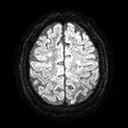
modality = 3 Tesla brain MRI; series = diffusion tensor imaging (medium iso); study = ring-enhancing brain masses.